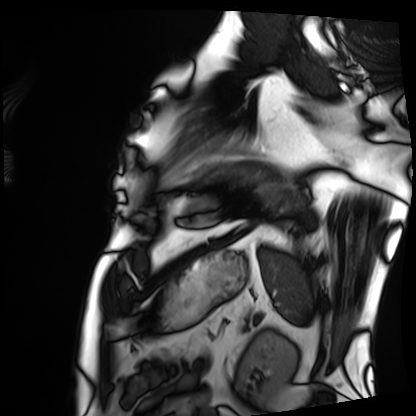
Case:
- modality · cardiac MRI
- subject group · patient